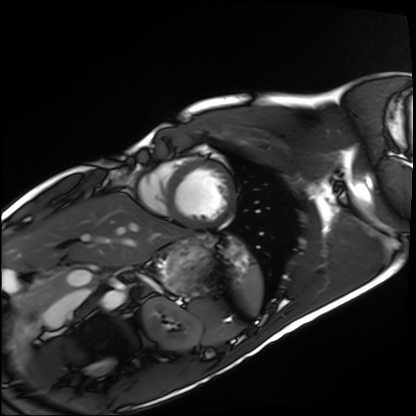
modality: cardiac MRI; subject group: healthy volunteer.